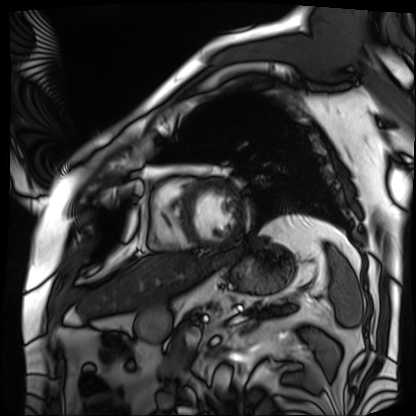
Q: What kind of scan is this?
A: Cardiac MRI.
Subject group: patient.